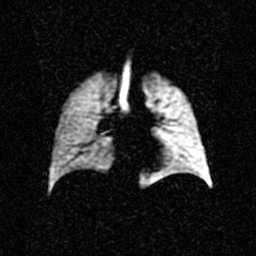
Q: What kind of scan is this?
A: Hyperpolarized 129Xe ventilation MRI of the lungs.